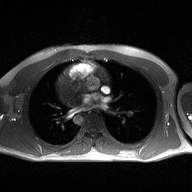
Case:
– modality · 2D phase-contrast cine MRI of the ascending aorta